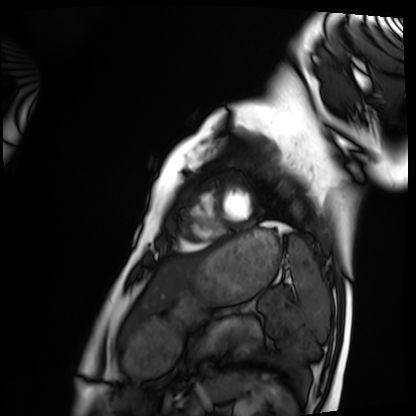
– modality · cardiac MRI
– subject group · healthy volunteer